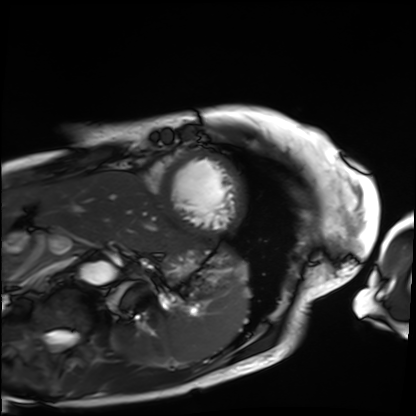
Cardiac MRI.
Subject group: patient.